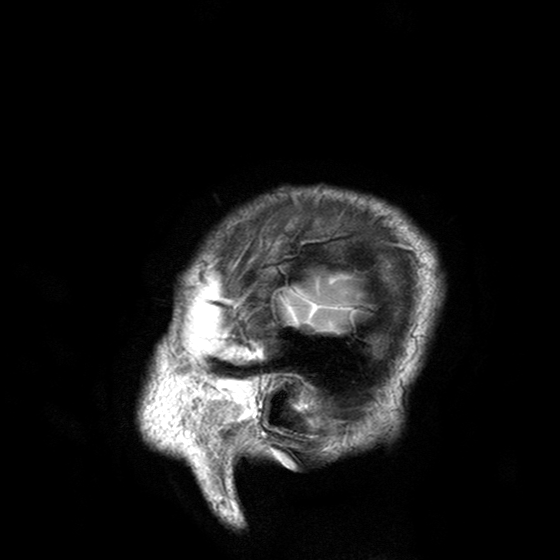
{
  "modality": {
    "type": "brain MRI",
    "field_strength": "3T"
  },
  "series": "T2-weighted turbo spin echo with SENSE",
  "study_topic": "ring-enhancing brain masses"
}